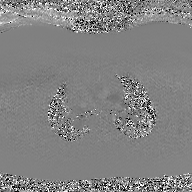
• modality · 2D phase-contrast cine MRI of the ascending aorta, GAN super-resolution reconstruction